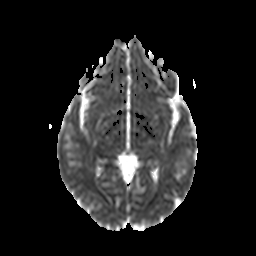
3 Tesla brain MRI. Study: ring-enhancing brain masses.